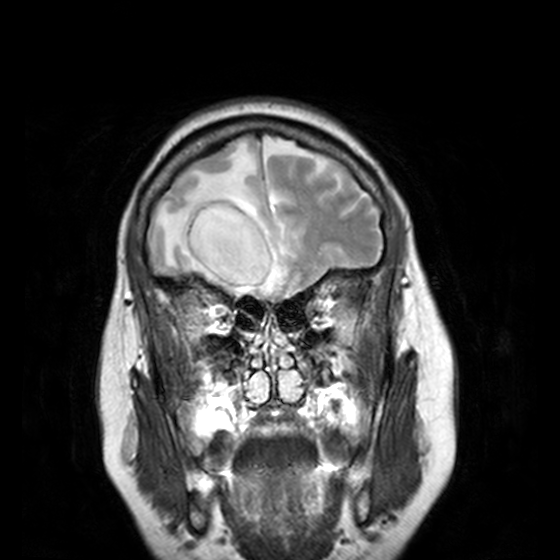
3 Tesla brain MRI. Study: ring-enhancing brain masses.